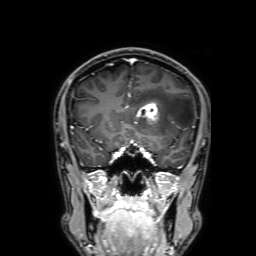
Summary:
3 Tesla brain MRI. Series: 3D T1-weighted with SENSE. Study: ring-enhancing brain masses.